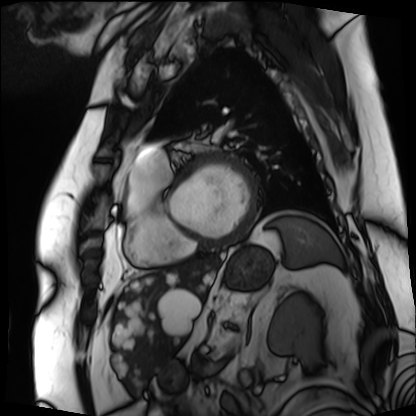
Clinical context:
Cardiac MRI. Subject group: patient.